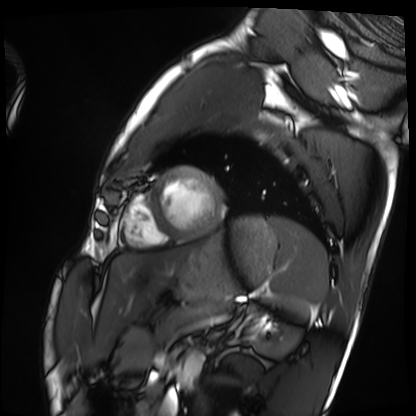
modality = cardiac MRI
subject group = healthy volunteer